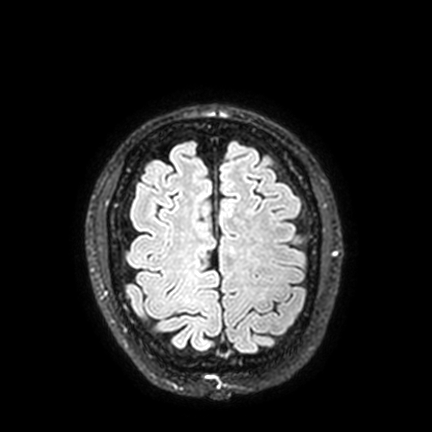
3 Tesla brain MRI.
Series: FLAIR VISTA with SENSE.
Study: ring-enhancing brain masses.